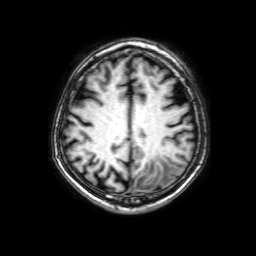
3 Tesla brain MRI. Study: ring-enhancing brain masses.